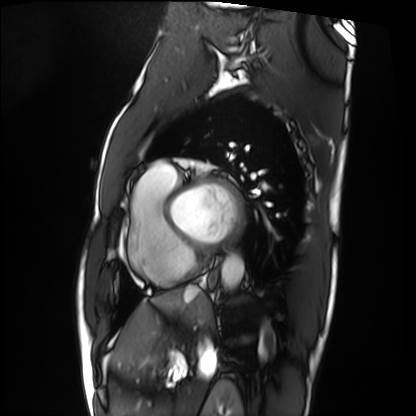
Cardiac MRI. Subject group: patient.